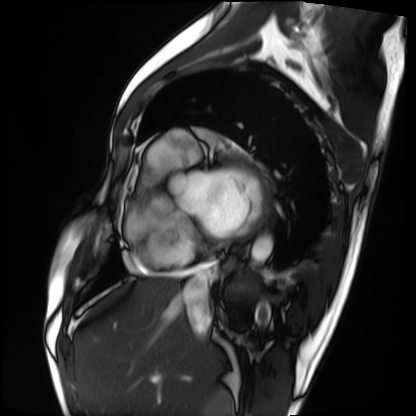
Q: What kind of scan is this?
A: Cardiac MRI.
Subject group: patient.